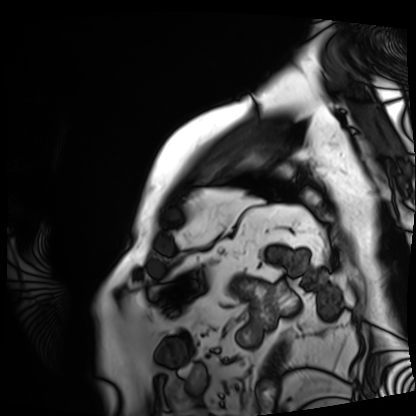
modality = cardiac MRI
subject group = patient